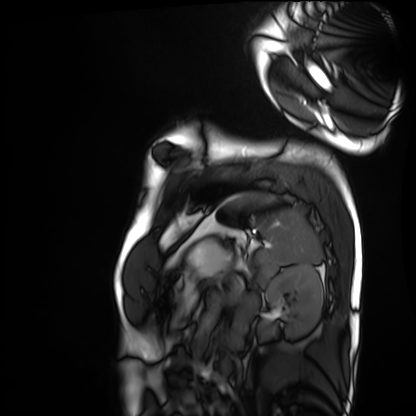
Cardiac MRI. Subject group: healthy volunteer.